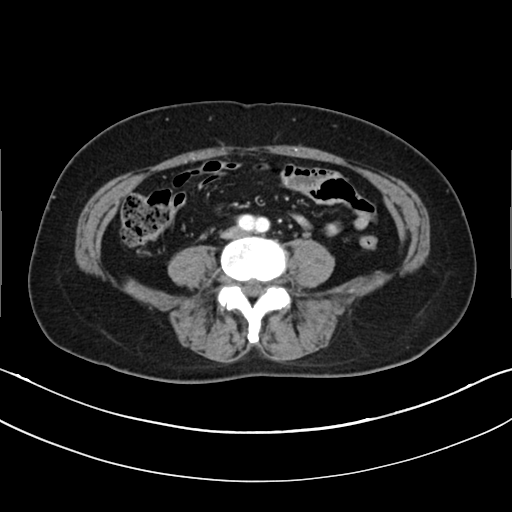
Case:
- modality — multiphase abdominal CT, liver, arterial phase
- patient — female, age 63
- history — prior chemotherapy